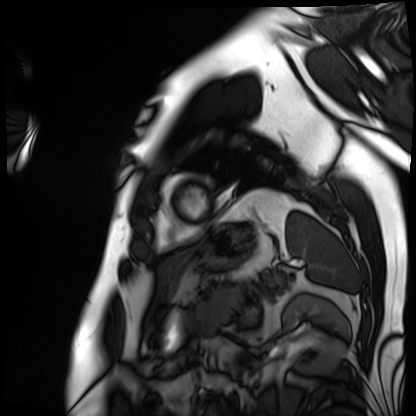
Summary:
Cardiac MRI. Subject group: patient.